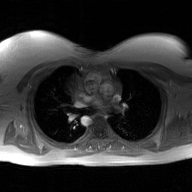
2D phase-contrast cine MRI of the ascending aorta, GAN super-resolution reconstruction.